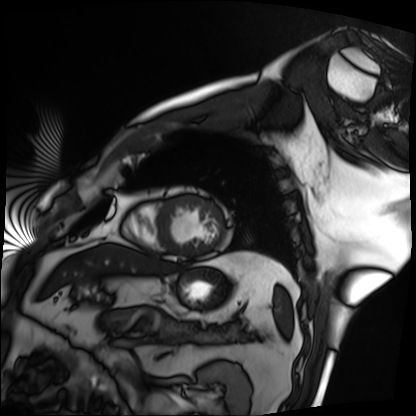
modality=cardiac MRI
subject group=patient